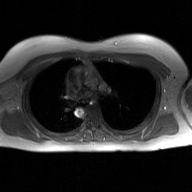
<scan>
  <modality>
    <type>2D phase-contrast cine MRI</type>
    <region>ascending aorta</region>
    <reconstruction>GAN super-resolution reconstruction</reconstruction>
  </modality>
</scan>